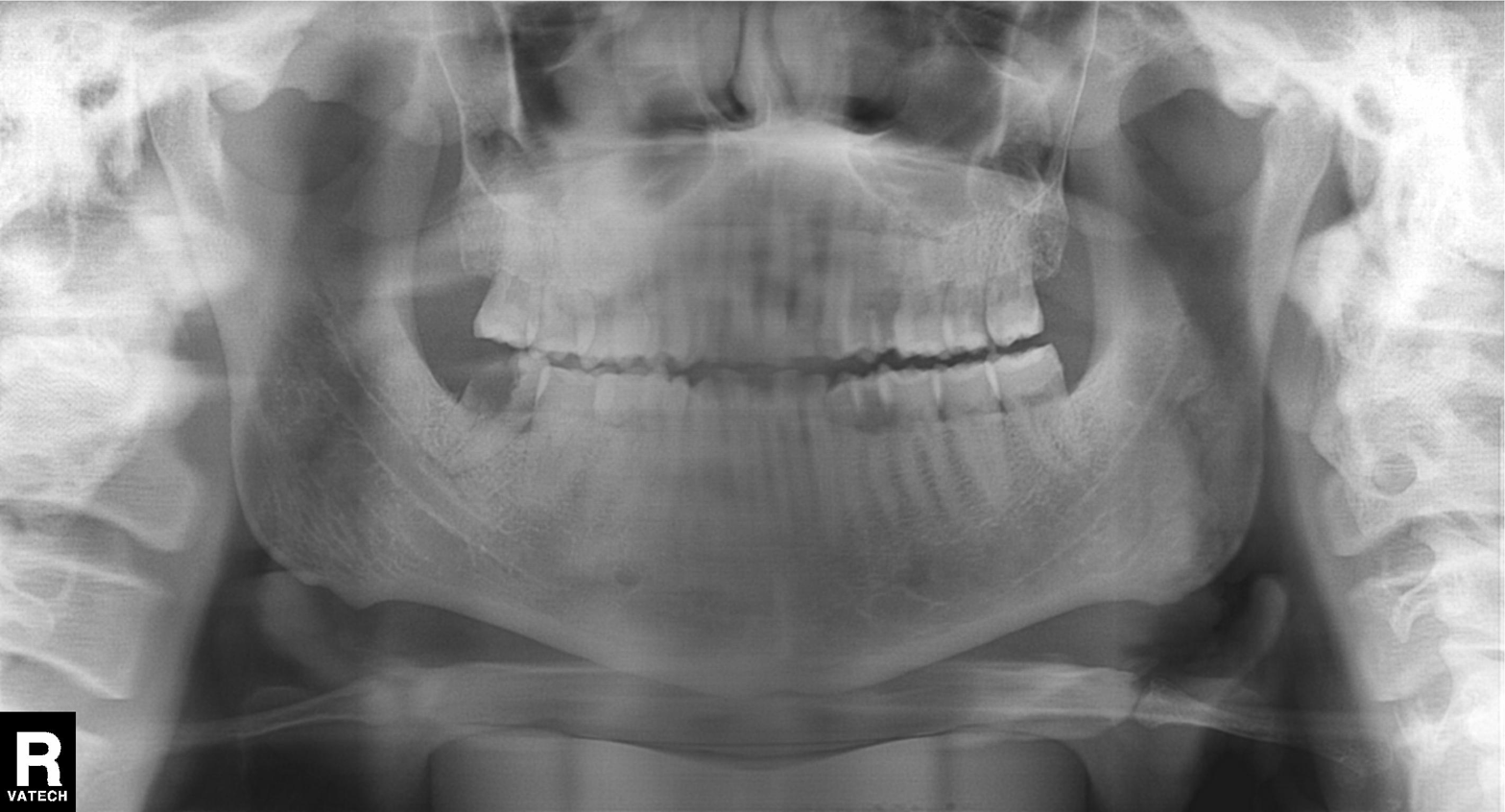
Summary: Panoramic dental radiograph (orthopantomogram).
Conclusion: Tooth impaction.